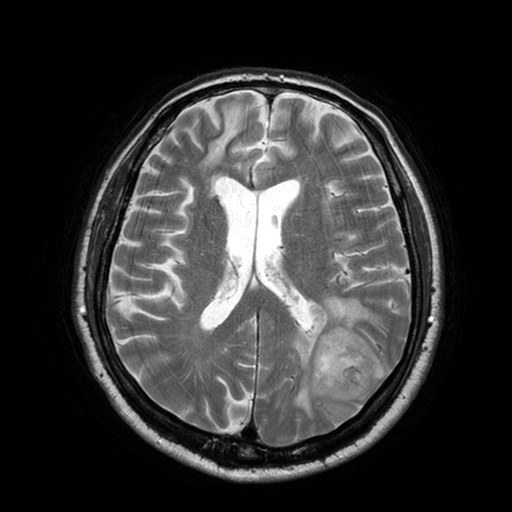
Summary: 3 Tesla brain MRI. Series: T2-weighted turbo spin echo with SENSE. Study: ring-enhancing brain masses.